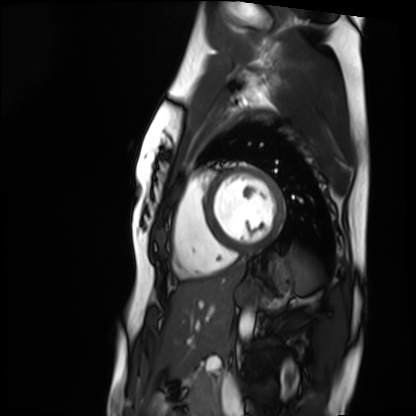
- modality · cardiac MRI
- subject group · healthy volunteer